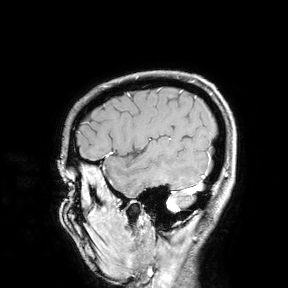
3 Tesla brain MRI.
Study: ring-enhancing brain masses.